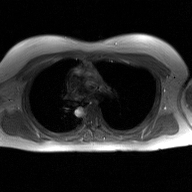
Clinical context:
2D phase-contrast cine MRI of the ascending aorta, GAN super-resolution reconstruction.